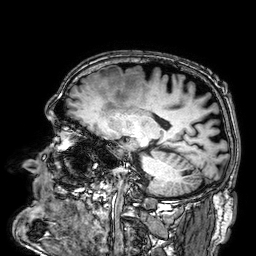
* modality — 3 Tesla brain MRI
* series — 3D T1-weighted
* study — ring-enhancing brain masses